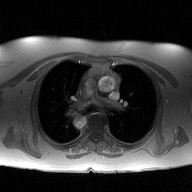
Q: What kind of scan is this?
A: 2D phase-contrast cine MRI of the ascending aorta.